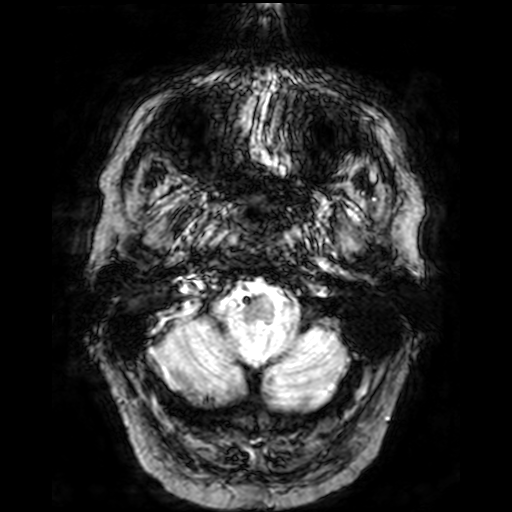
3 Tesla brain MRI.
Series: T2-weighted fast field echo.
Study: ring-enhancing brain masses.